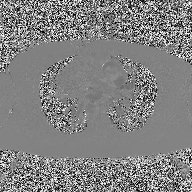
2D phase-contrast cine MRI of the ascending aorta, high-resolution GRAPPA acquisition.